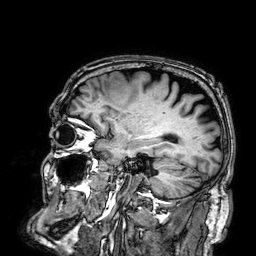
modality=3 Tesla brain MRI
series=3D T1-weighted
study=ring-enhancing brain masses